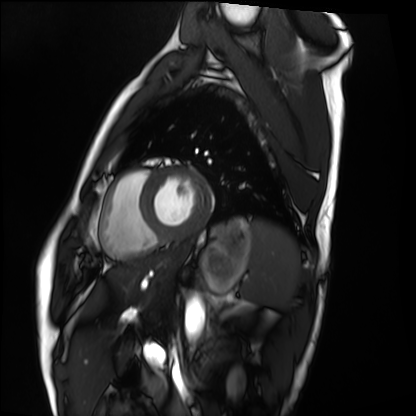
Summary: Cardiac MRI. Subject group: healthy volunteer.